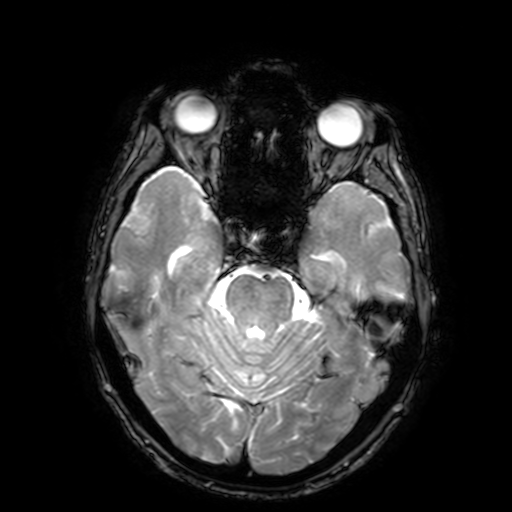
3 Tesla brain MRI. Series: T2-weighted fast field echo with SENSE. Study: ring-enhancing brain masses.